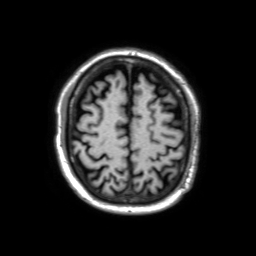
Q: What kind of scan is this?
A: 3 Tesla brain MRI.
Study: ring-enhancing brain masses.